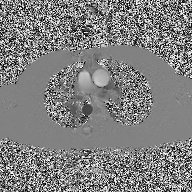
Summary:
2D phase-contrast cine MRI of the ascending aorta, high-resolution GRAPPA acquisition.